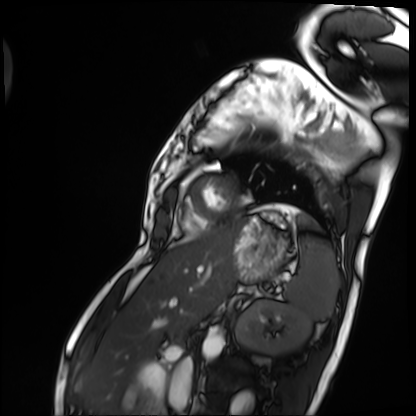
modality: cardiac MRI, subject group: patient.